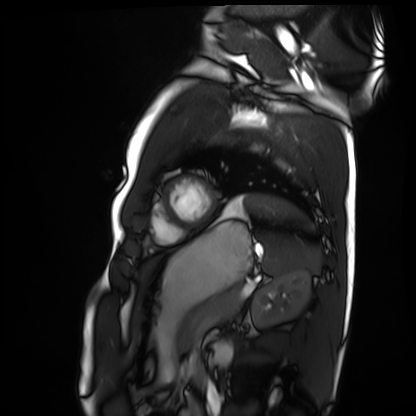
<case>
  <modality>cardiac MRI</modality>
  <cohort>healthy volunteer</cohort>
</case>